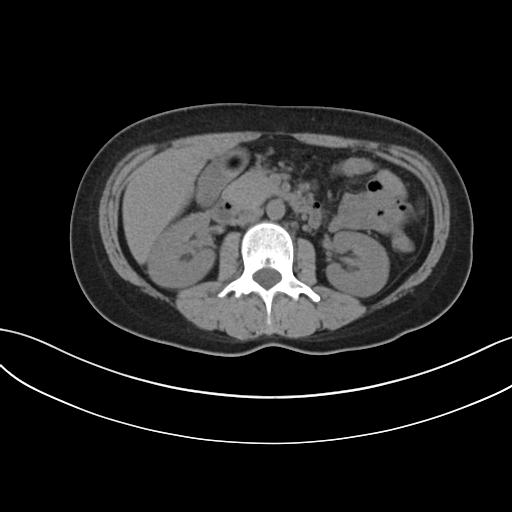
Case summary: Multiphase abdominal CT, liver, non-contrast phase. Patient: male, age 37.